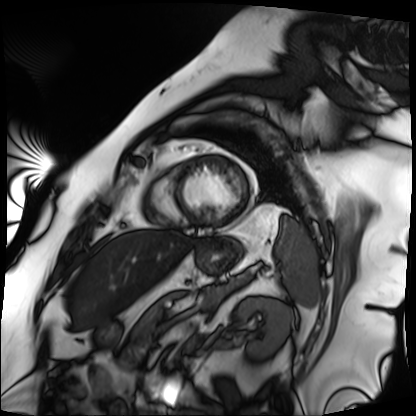
Cardiac MRI. Subject group: patient.